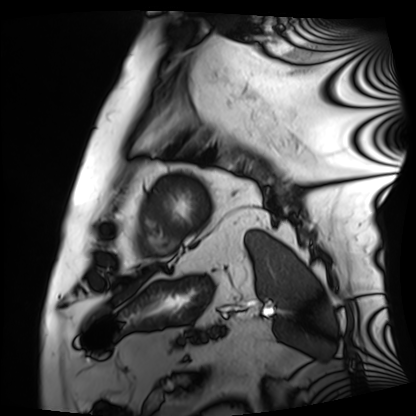
Q: What kind of scan is this?
A: Cardiac MRI.
Subject group: patient.